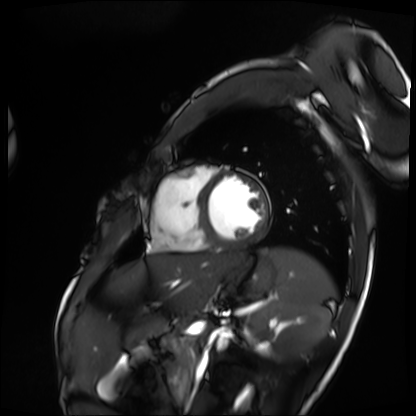
modality = cardiac MRI; subject group = patient.